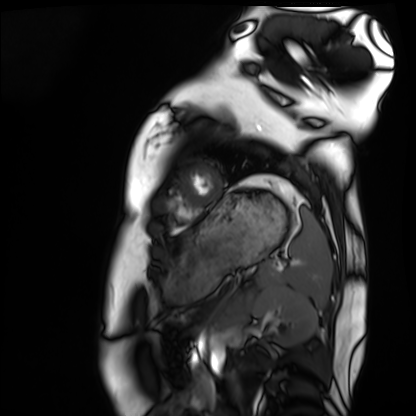
| field | value |
|---|---|
| modality | cardiac MRI |
| subject group | healthy volunteer |